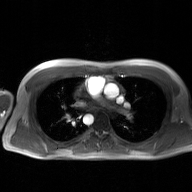
{
  "modality": {
    "type": "2D phase-contrast cine MRI",
    "region": "ascending aorta",
    "reconstruction": "GAN super-resolution reconstruction"
  }
}